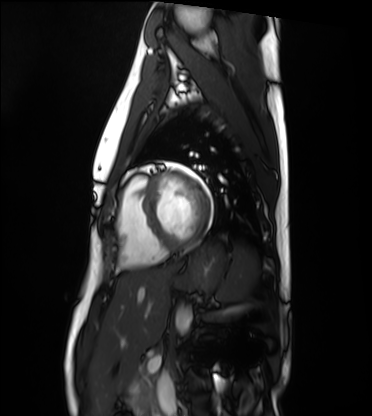
{"modality": "cardiac MRI", "cohort": "healthy volunteer"}